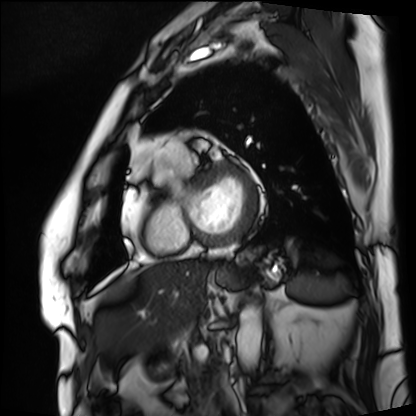
<case>
  <modality>cardiac MRI</modality>
  <cohort>patient</cohort>
</case>